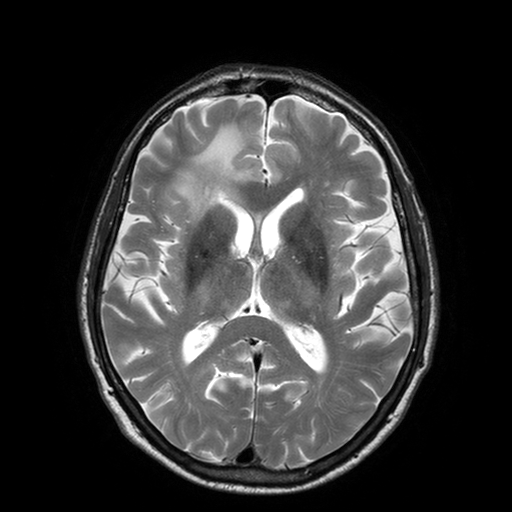
modality = 3 Tesla brain MRI | series = T2-weighted turbo spin echo with SENSE | study = ring-enhancing brain masses.